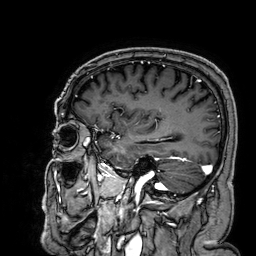
3 Tesla brain MRI. Series: 3D T1-weighted. Study: ring-enhancing brain masses.